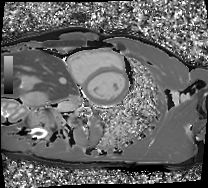
Cardiac MRI.
Subject group: healthy volunteer.